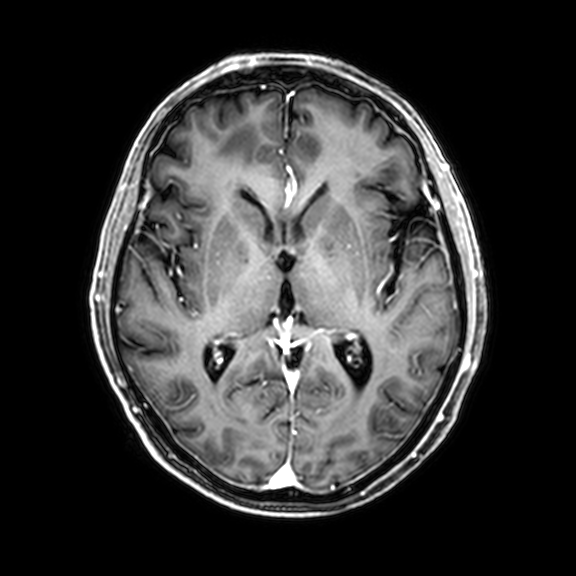
Clinical context: 3 Tesla brain MRI. Series: 3D T1-weighted with CLEAR. Study: ring-enhancing brain masses.